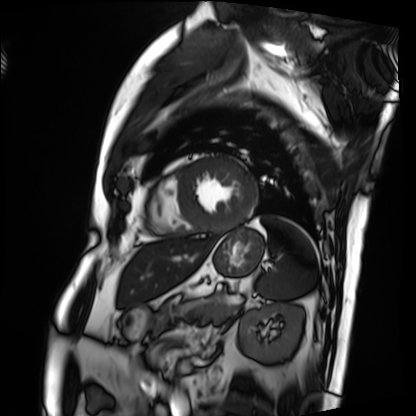
modality: cardiac MRI, subject group: patient.